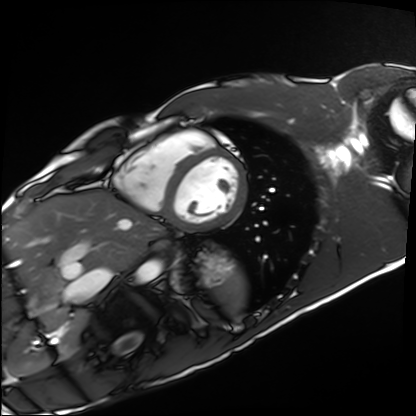
modality=cardiac MRI | subject group=healthy volunteer.